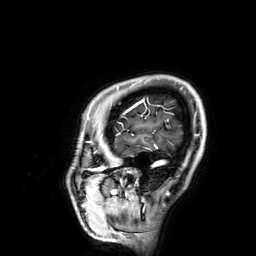
{
  "modality": {
    "type": "brain MRI",
    "field_strength": "3T"
  },
  "series": "3D T1-weighted",
  "study_topic": "ring-enhancing brain masses"
}